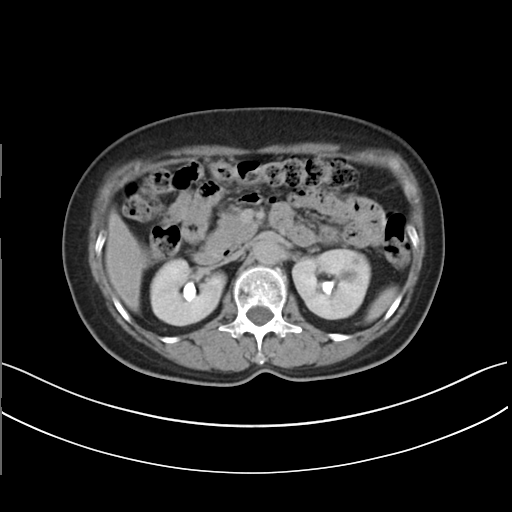
{
  "modality": {
    "type": "multiphase abdominal CT",
    "region": "liver",
    "phase": "delayed"
  },
  "patient": {
    "sex": "female",
    "age": 61
  }
}